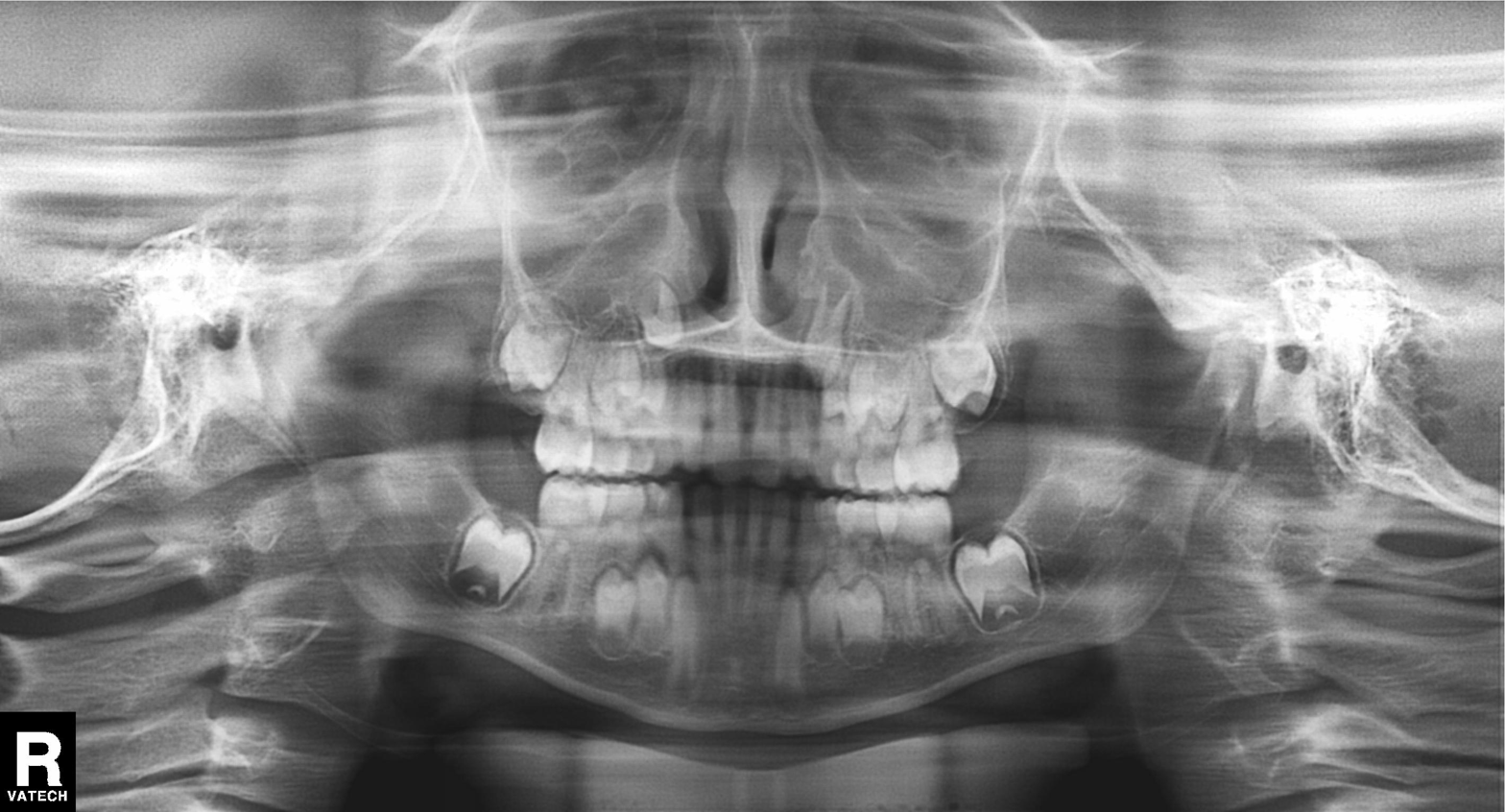
Panoramic dental radiograph (orthopantomogram). Finding: tooth impaction.